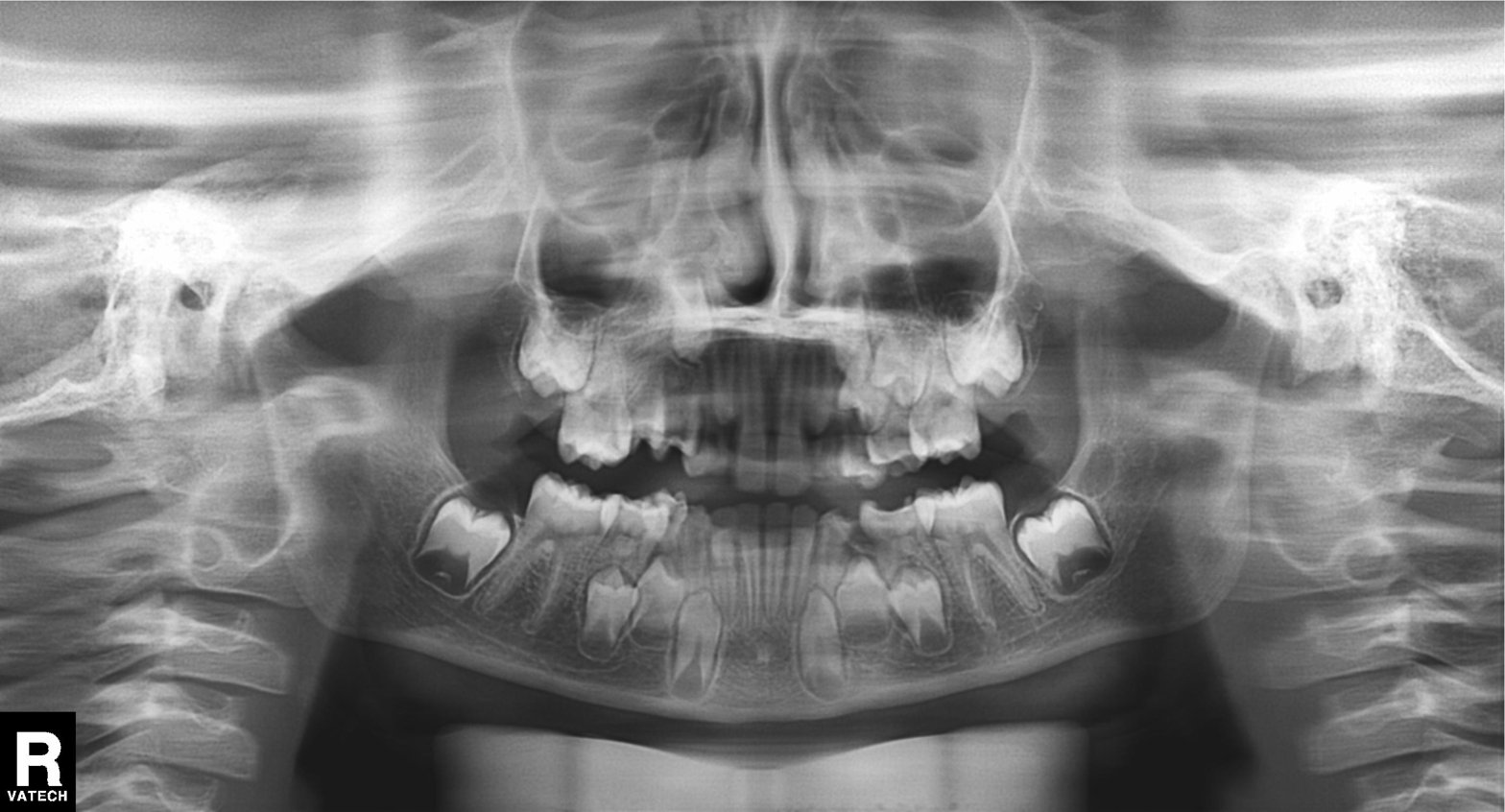
Case summary: Panoramic dental radiograph (orthopantomogram).
Impression: Alveolar bone loss.